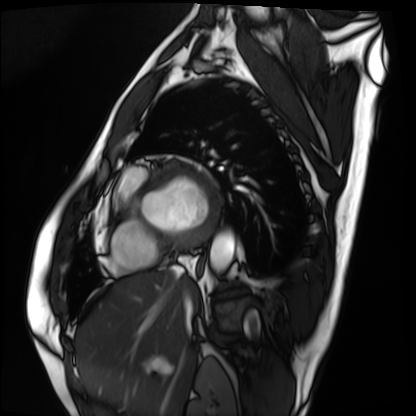
* modality · cardiac MRI
* subject group · patient